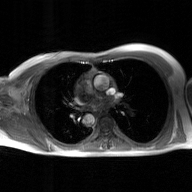
modality: 2D phase-contrast cine MRI of the ascending aorta, GAN super-resolution reconstruction.